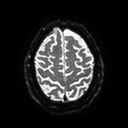
3 Tesla brain MRI.
Series: diffusion tensor imaging (medium iso).
Study: ring-enhancing brain masses.